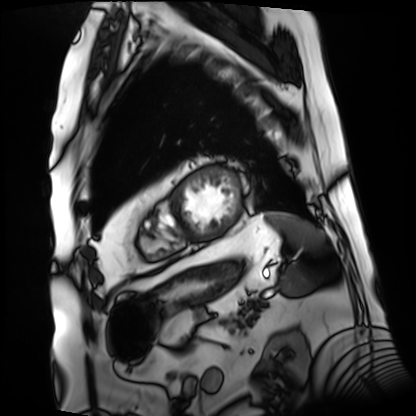
modality: cardiac MRI, subject group: patient.